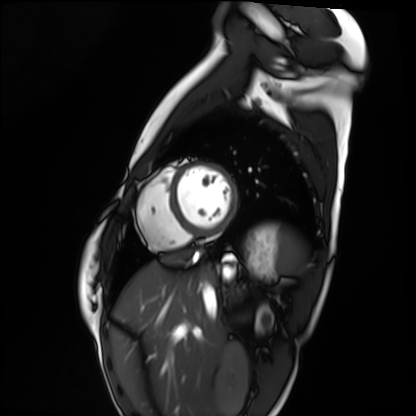
Cardiac MRI. Subject group: healthy volunteer.